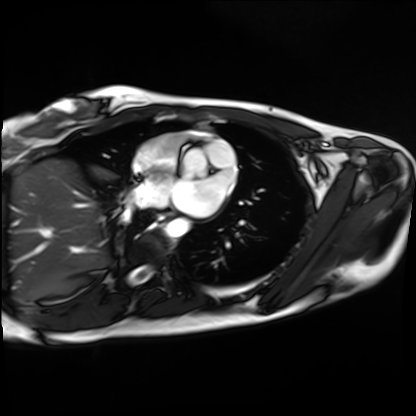
Clinical context: Cardiac MRI. Subject group: healthy volunteer.